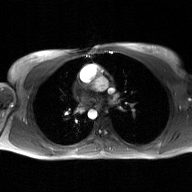
Case summary:
2D phase-contrast cine MRI of the ascending aorta, GAN super-resolution reconstruction.